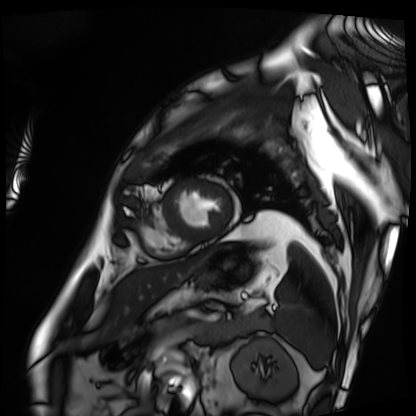
modality: cardiac MRI; subject group: patient.